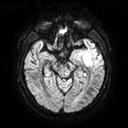
modality — 3 Tesla brain MRI
series — diffusion tensor imaging (medium iso)
study — ring-enhancing brain masses